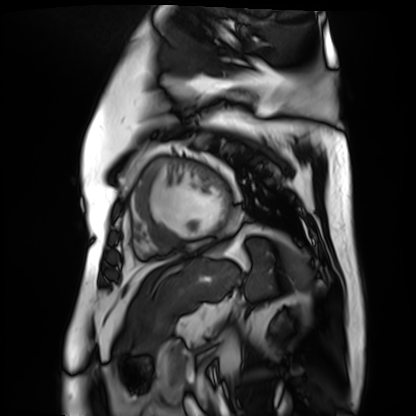
Summary:
Cardiac MR image of the myocardium. Subject cohort: cardiac patient.